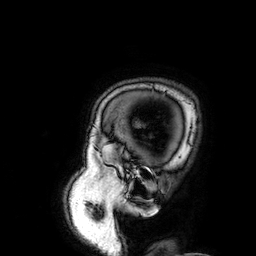
Case summary:
3 Tesla brain MRI. Series: 3D T1-weighted. Study: ring-enhancing brain masses.